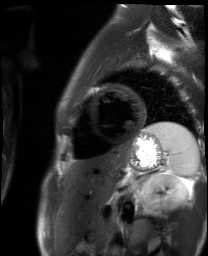
Case:
- modality — cardiac MR image of the myocardium
- subject cohort — healthy volunteer